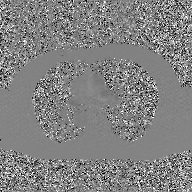
Case:
• modality: 2D phase-contrast cine MRI of the ascending aorta, GAN super-resolution reconstruction